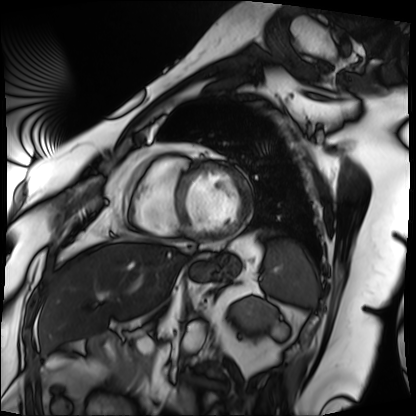
Summary: Cardiac MRI. Subject group: patient.